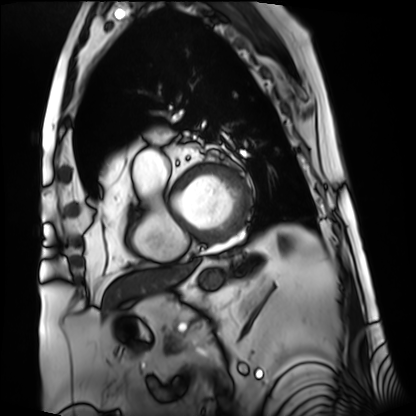
modality=cardiac MRI
subject group=patient